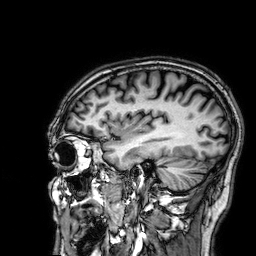
modality:
  type: brain MRI
  field_strength: 3T
series: 3D T1-weighted
study_topic: ring-enhancing brain masses